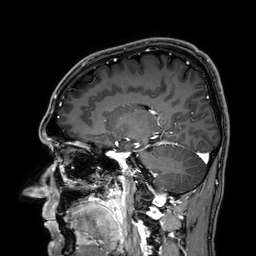
Q: What kind of scan is this?
A: 3 Tesla brain MRI.
Study: ring-enhancing brain masses.